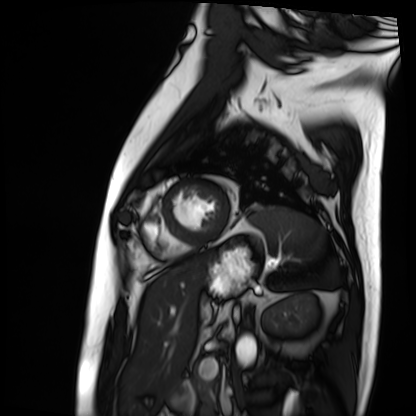
Case:
- modality: cardiac MRI
- subject group: patient